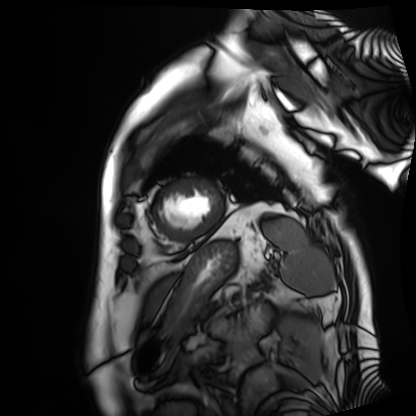
Cardiac MRI. Subject group: patient.